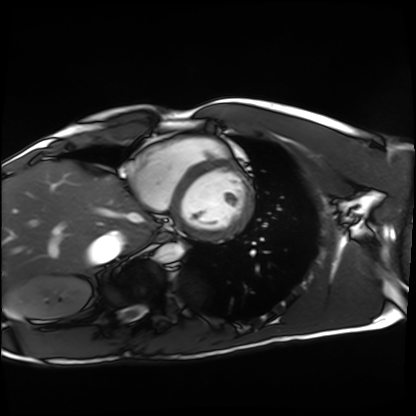
Cardiac MRI. Subject group: healthy volunteer.